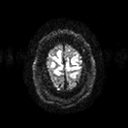
Clinical context: 3 Tesla brain MRI. Series: diffusion tensor imaging (medium iso). Study: ring-enhancing brain masses.